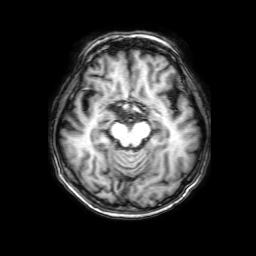
3 Tesla brain MRI.
Series: 3D T1-weighted with SENSE.
Study: ring-enhancing brain masses.